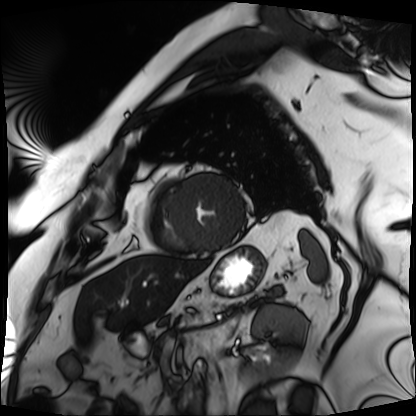
Clinical context:
Cardiac MRI. Subject group: patient.